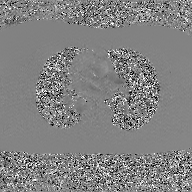
Summary: 2D phase-contrast cine MRI of the ascending aorta, GAN super-resolution reconstruction.